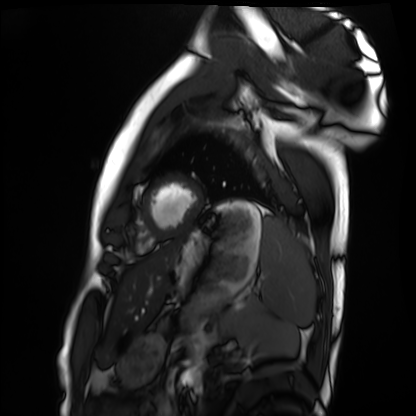
Q: What kind of scan is this?
A: Cardiac MRI.
Subject group: healthy volunteer.